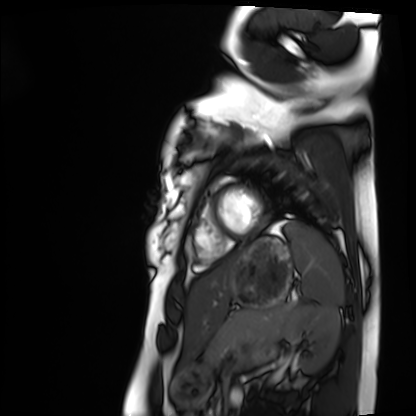
Summary: Cardiac MRI. Subject group: healthy volunteer.